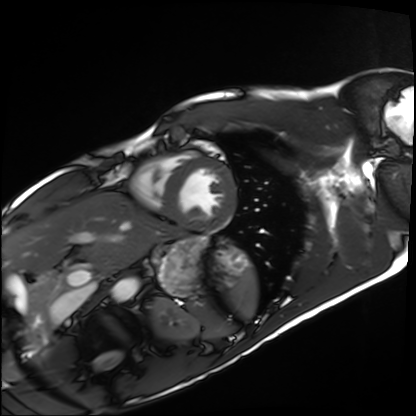
| field | value |
|---|---|
| modality | cardiac MRI |
| subject group | healthy volunteer |